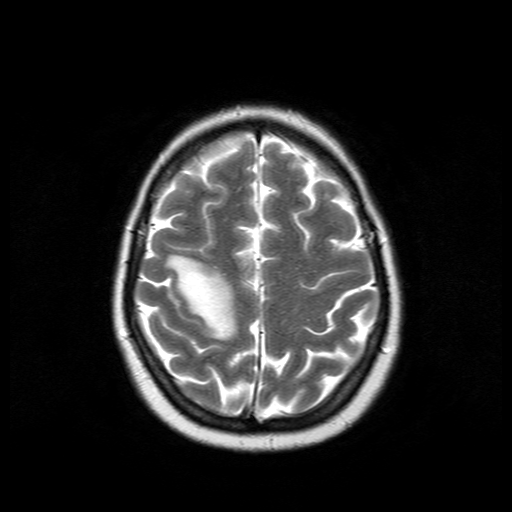
Q: What kind of scan is this?
A: 3 Tesla brain MRI.
Study: ring-enhancing brain masses.